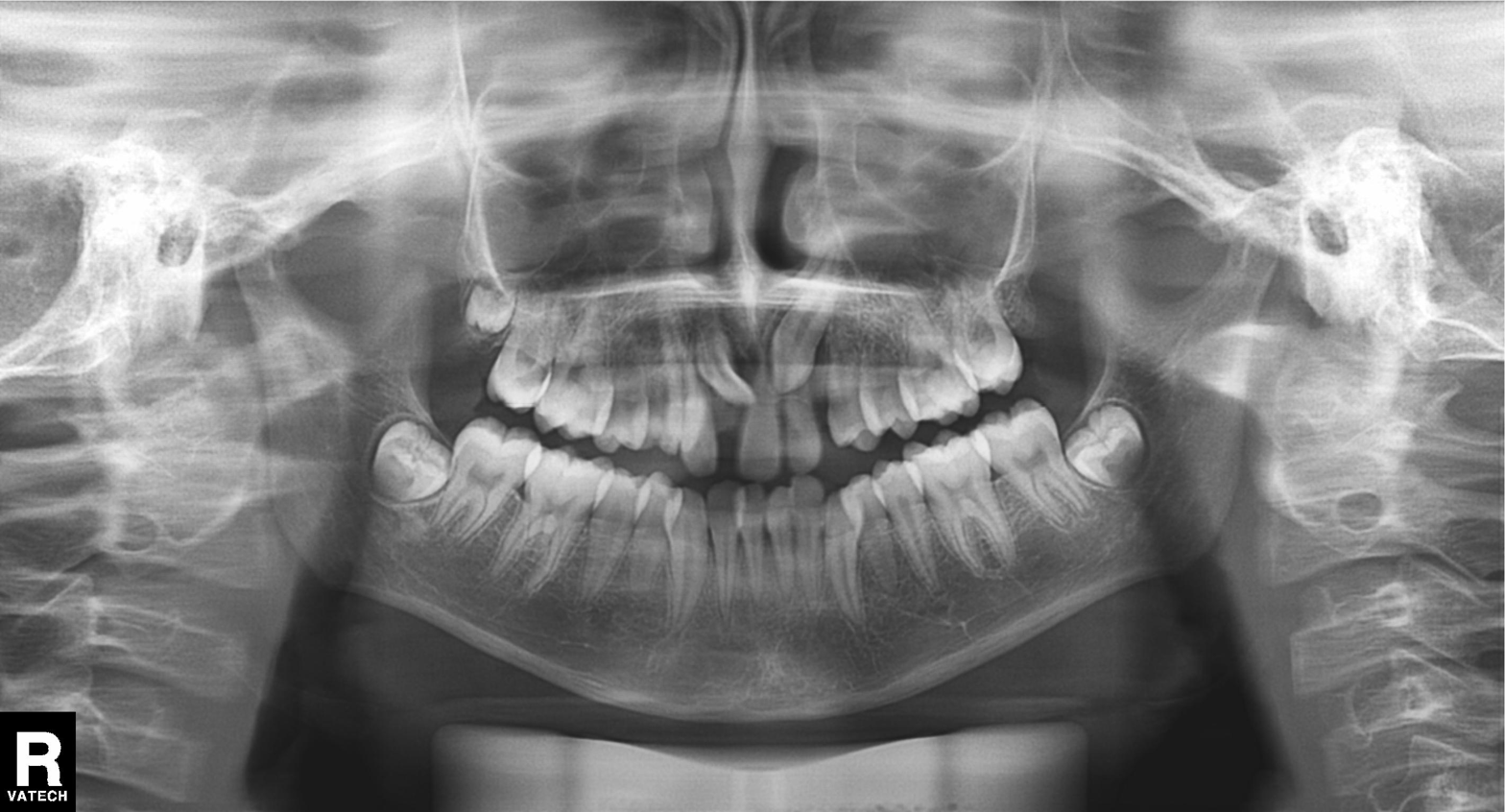
Case:
• modality — panoramic dental radiograph (orthopantomogram)
• finding — tooth impaction